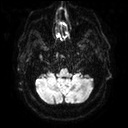
3 Tesla brain MRI. Series: diffusion tensor imaging (medium iso). Study: ring-enhancing brain masses.